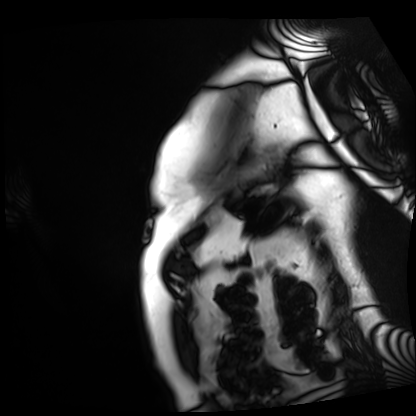
{"modality": "cardiac MRI", "cohort": "patient"}